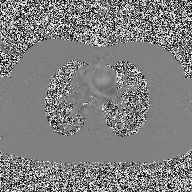
modality:
  type: 2D phase-contrast cine MRI
  region: ascending aorta
  reconstruction: high-resolution GRAPPA acquisition